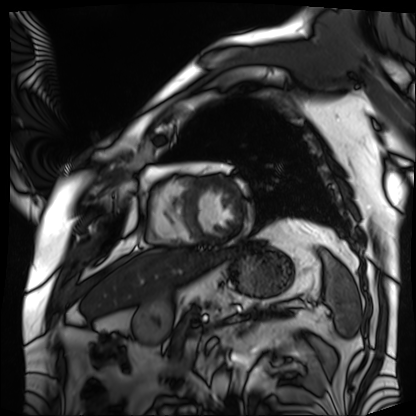
Case:
- modality · cardiac MRI
- subject group · patient